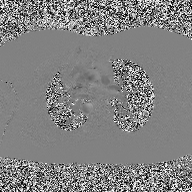
modality: 2D phase-contrast cine MRI of the ascending aorta